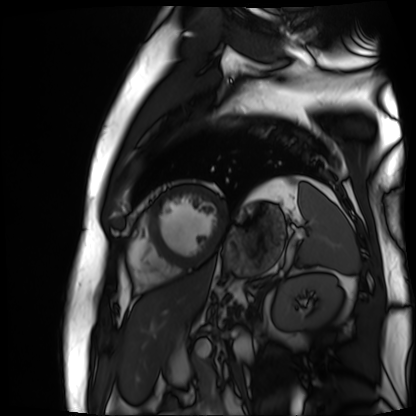
Q: What kind of scan is this?
A: Cardiac MR image of the myocardium.
Subject cohort: cardiac patient.